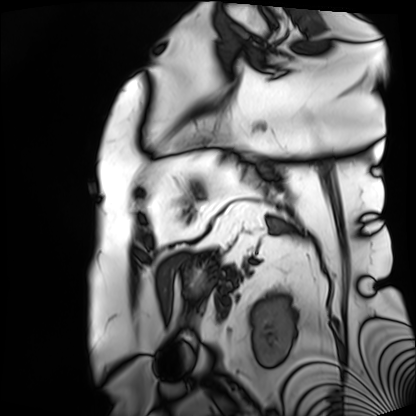
modality: cardiac MRI
cohort: patient